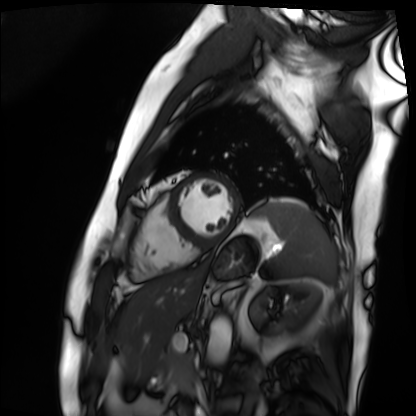
modality: cardiac MRI
cohort: patient